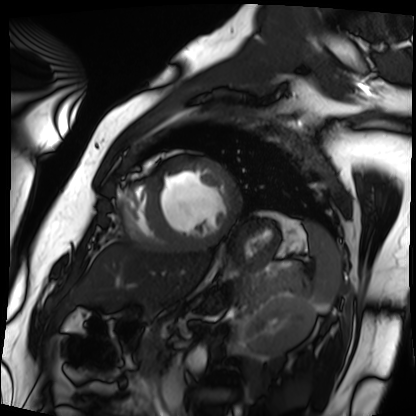
Q: What kind of scan is this?
A: Cardiac MRI.
Subject group: patient.